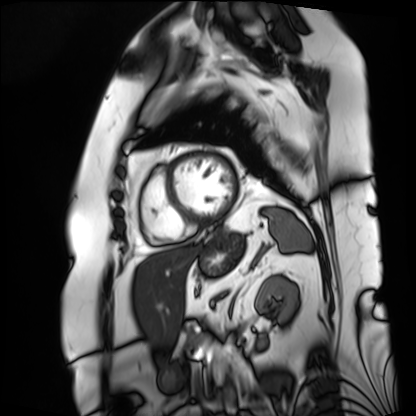
Case summary:
Cardiac MRI. Subject group: patient.